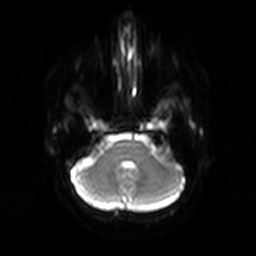
3 Tesla brain MRI.
Series: diffusion-weighted imaging.
Study: ring-enhancing brain masses.